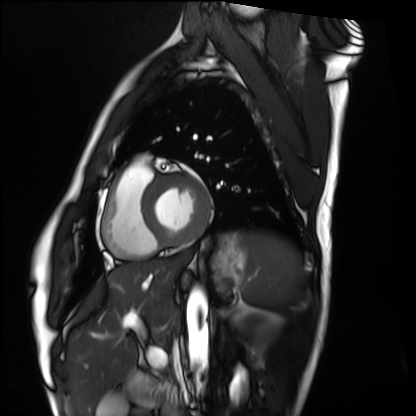
modality: cardiac MRI
cohort: healthy volunteer